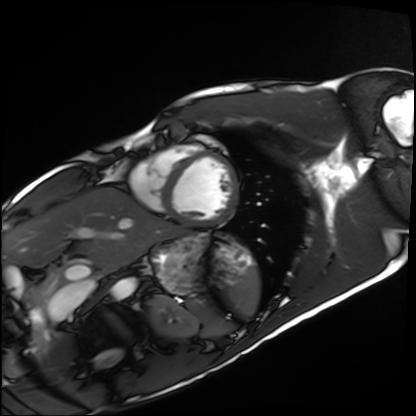
Summary:
Cardiac MRI. Subject group: healthy volunteer.